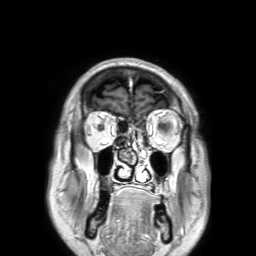
* modality — 3 Tesla brain MRI
* series — 3D T1-weighted TFE with SENSE
* study — ring-enhancing brain masses